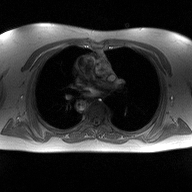
2D phase-contrast cine MRI of the ascending aorta, high-resolution GRAPPA acquisition.